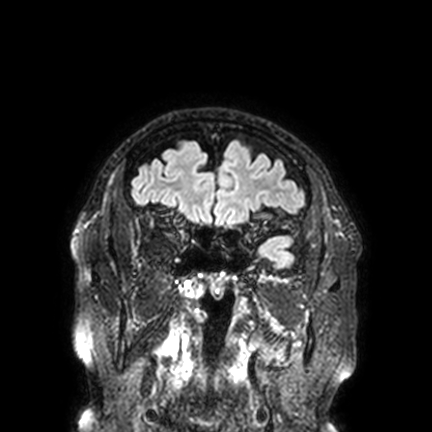
{"modality": {"type": "brain MRI", "field_strength": "3T"}, "series": "FLAIR VISTA with SENSE", "study_topic": "ring-enhancing brain masses"}